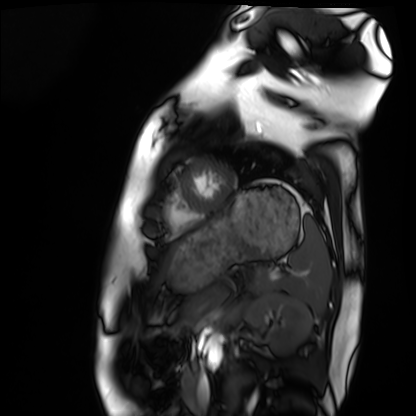
Cardiac MRI.
Subject group: healthy volunteer.